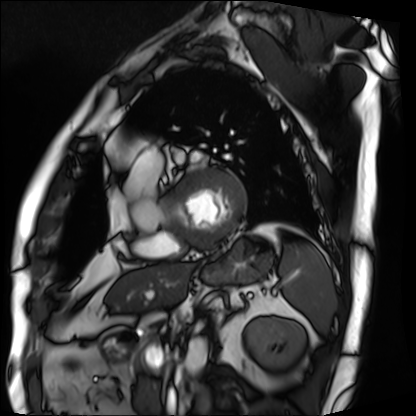
Summary: Cardiac MRI. Subject group: patient.